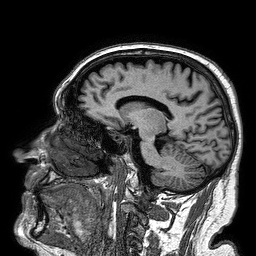
{"modality": {"type": "brain MRI", "field_strength": "3T"}, "series": "3D T1-weighted turbo field echo", "study_topic": "ring-enhancing brain masses"}